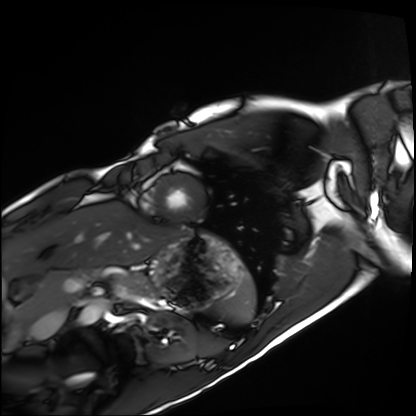
Cardiac MRI.
Subject group: healthy volunteer.